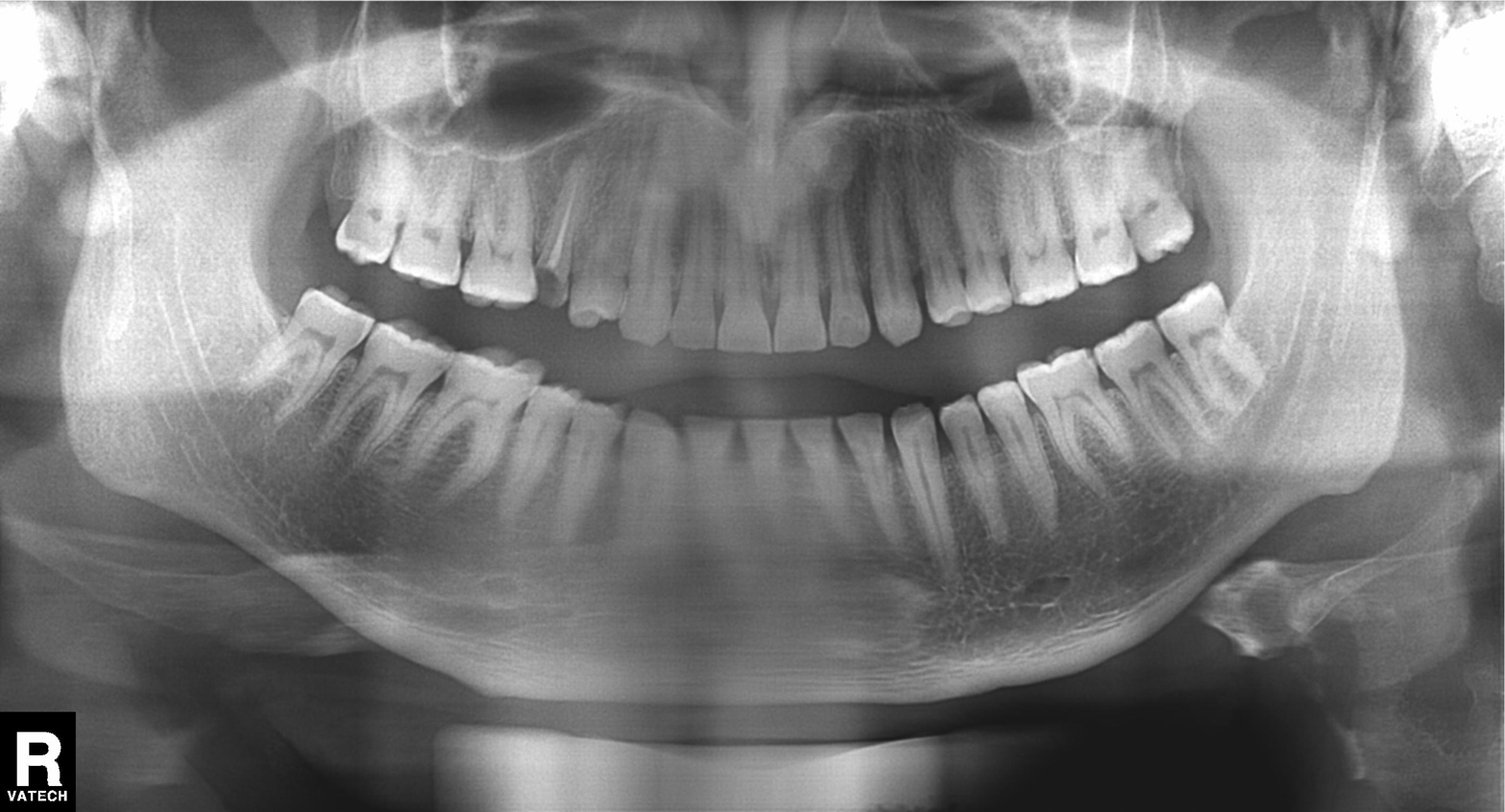
– modality: panoramic dental radiograph (orthopantomogram)
– finding: no pathological findings